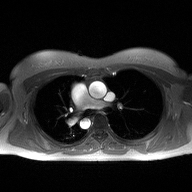
modality=2D phase-contrast cine MRI of the ascending aorta